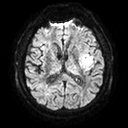
3 Tesla brain MRI.
Series: diffusion tensor imaging (medium iso).
Study: ring-enhancing brain masses.